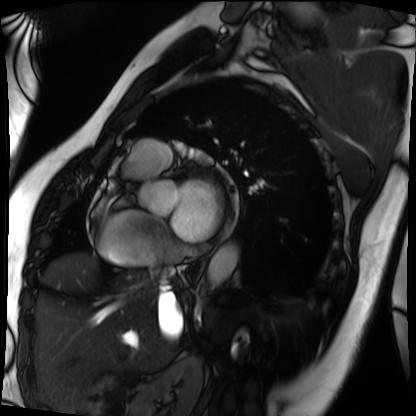
Case summary:
Cardiac MRI. Subject group: patient.